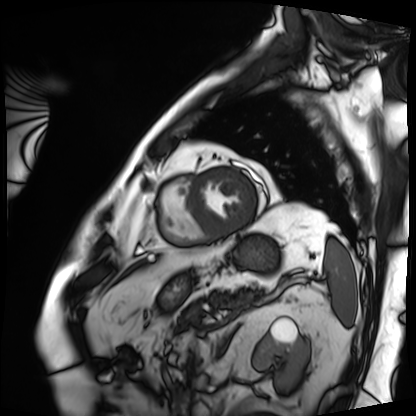
<scan>
<modality>cardiac MRI</modality>
<cohort>patient</cohort>
</scan>